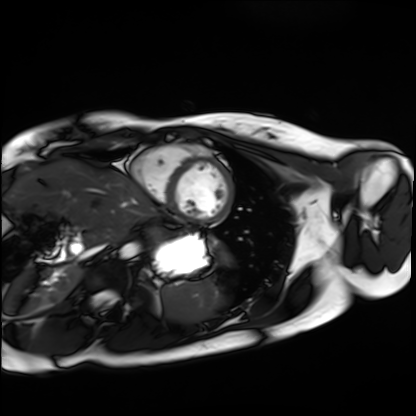
Cardiac MRI. Subject group: healthy volunteer.